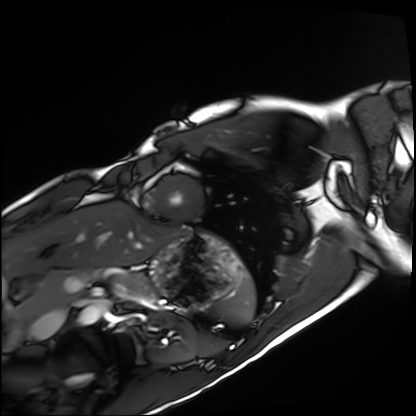
modality — cardiac MRI | subject group — healthy volunteer.